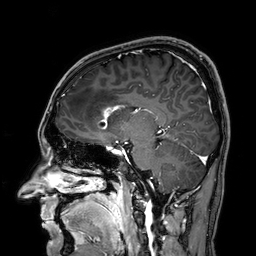
<study>
<modality>
  <type>brain MRI</type>
  <field_strength>3T</field_strength>
</modality>
<series>3D T1-weighted</series>
<study_topic>ring-enhancing brain masses</study_topic>
</study>